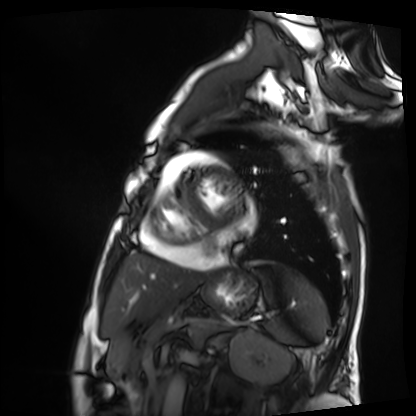
- modality: cardiac MRI
- subject group: patient